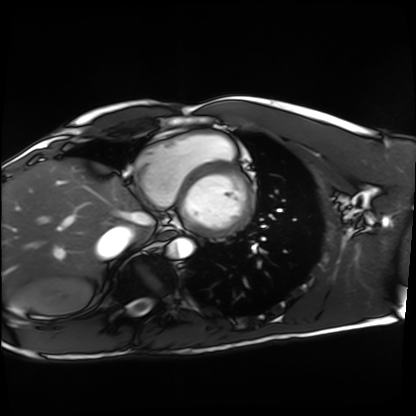
Cardiac MRI. Subject group: healthy volunteer.